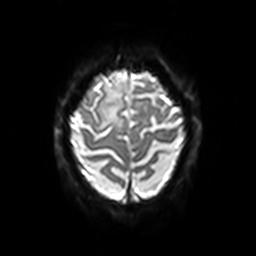
Summary: 3 Tesla brain MRI. Series: diffusion-weighted imaging with SENSE (WIP). Study: ring-enhancing brain masses.